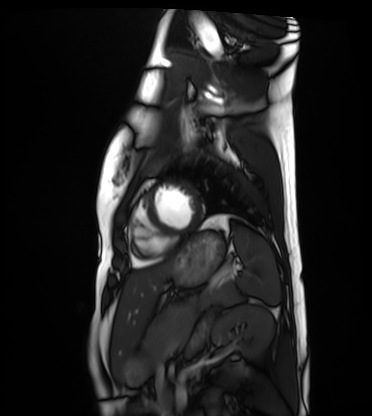
| field | value |
|---|---|
| modality | cardiac MRI |
| subject group | healthy volunteer |